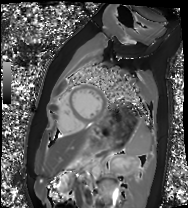
| field | value |
|---|---|
| modality | cardiac MRI |
| subject group | healthy volunteer |